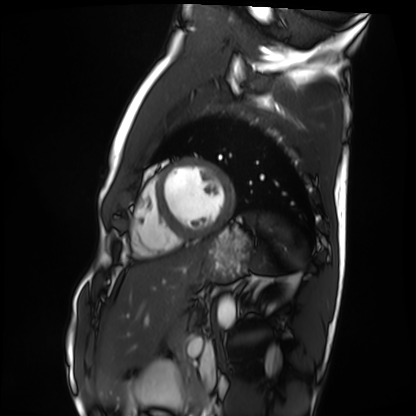
Summary:
Cardiac MRI. Subject group: healthy volunteer.